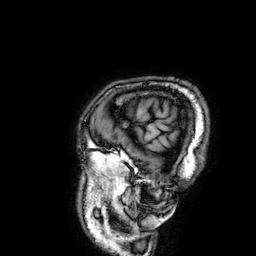
3 Tesla brain MRI. Series: 3D T1-weighted. Study: ring-enhancing brain masses.